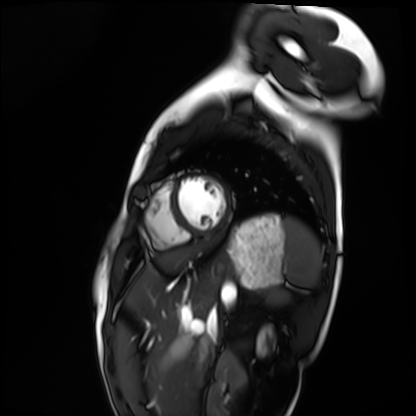
Cardiac MRI. Subject group: healthy volunteer.